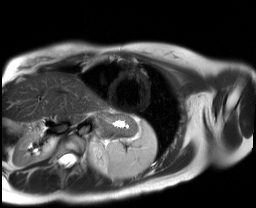
Cardiac MR image of the myocardium.
Subject cohort: healthy volunteer.